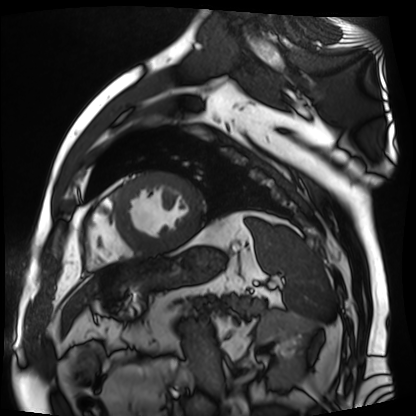
Cardiac MR image of the myocardium. Subject cohort: cardiac patient.